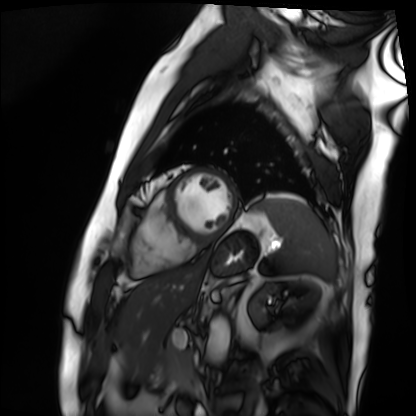
Cardiac MRI. Subject group: patient.